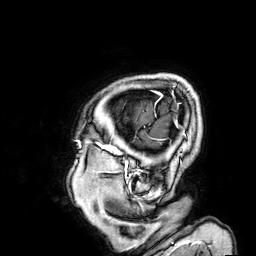
<study>
  <modality>
    <type>brain MRI</type>
    <field_strength>3T</field_strength>
  </modality>
  <series>3D T1-weighted</series>
  <study_topic>ring-enhancing brain masses</study_topic>
</study>